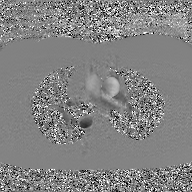
2D phase-contrast cine MRI of the ascending aorta, GAN super-resolution reconstruction.